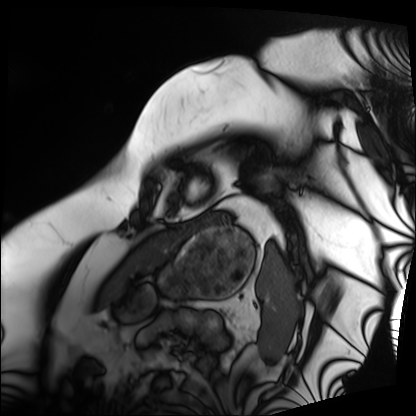
{
  "modality": "cardiac MRI",
  "cohort": "patient"
}